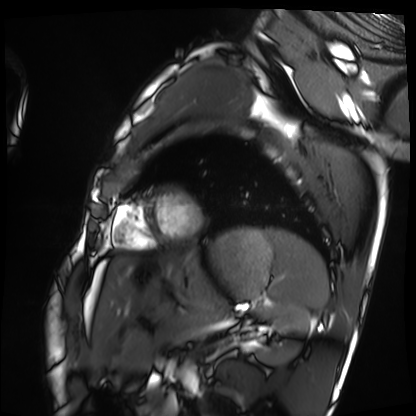
Summary: Cardiac MRI. Subject group: healthy volunteer.